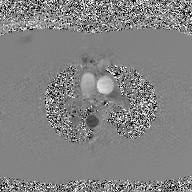
<scan>
  <modality>
    <type>2D phase-contrast cine MRI</type>
    <region>ascending aorta</region>
    <reconstruction>GAN super-resolution reconstruction</reconstruction>
  </modality>
</scan>